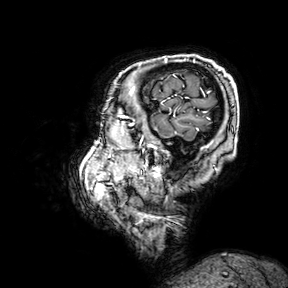
Clinical context: 3 Tesla brain MRI. Series: 3D T1-weighted turbo field echo with SENSE. Study: ring-enhancing brain masses.